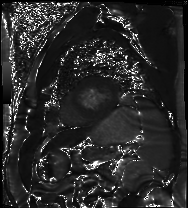
modality: cardiac MR image of the myocardium | subject cohort: cardiac patient.